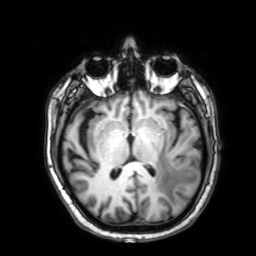
3 Tesla brain MRI.
Series: 3D T1-weighted with SENSE.
Study: ring-enhancing brain masses.